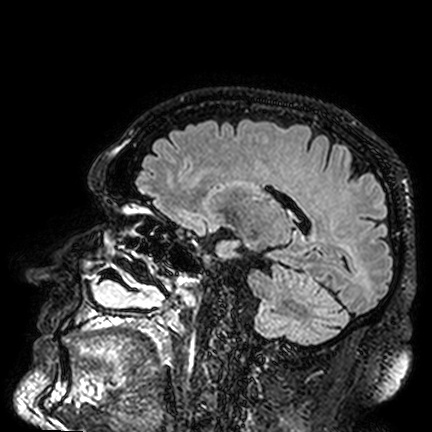
3 Tesla brain MRI. Series: FLAIR VISTA. Study: ring-enhancing brain masses.